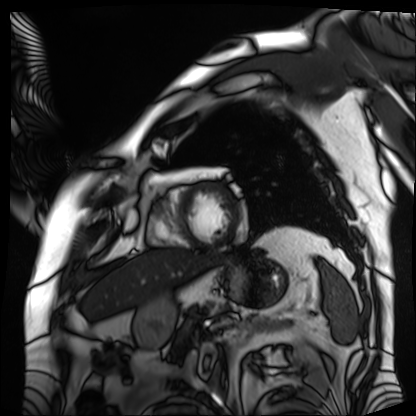
Cardiac MRI. Subject group: patient.